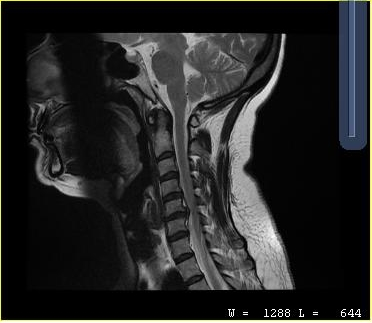
MRI of the cervical spine.
Study: cervical spondylosis.